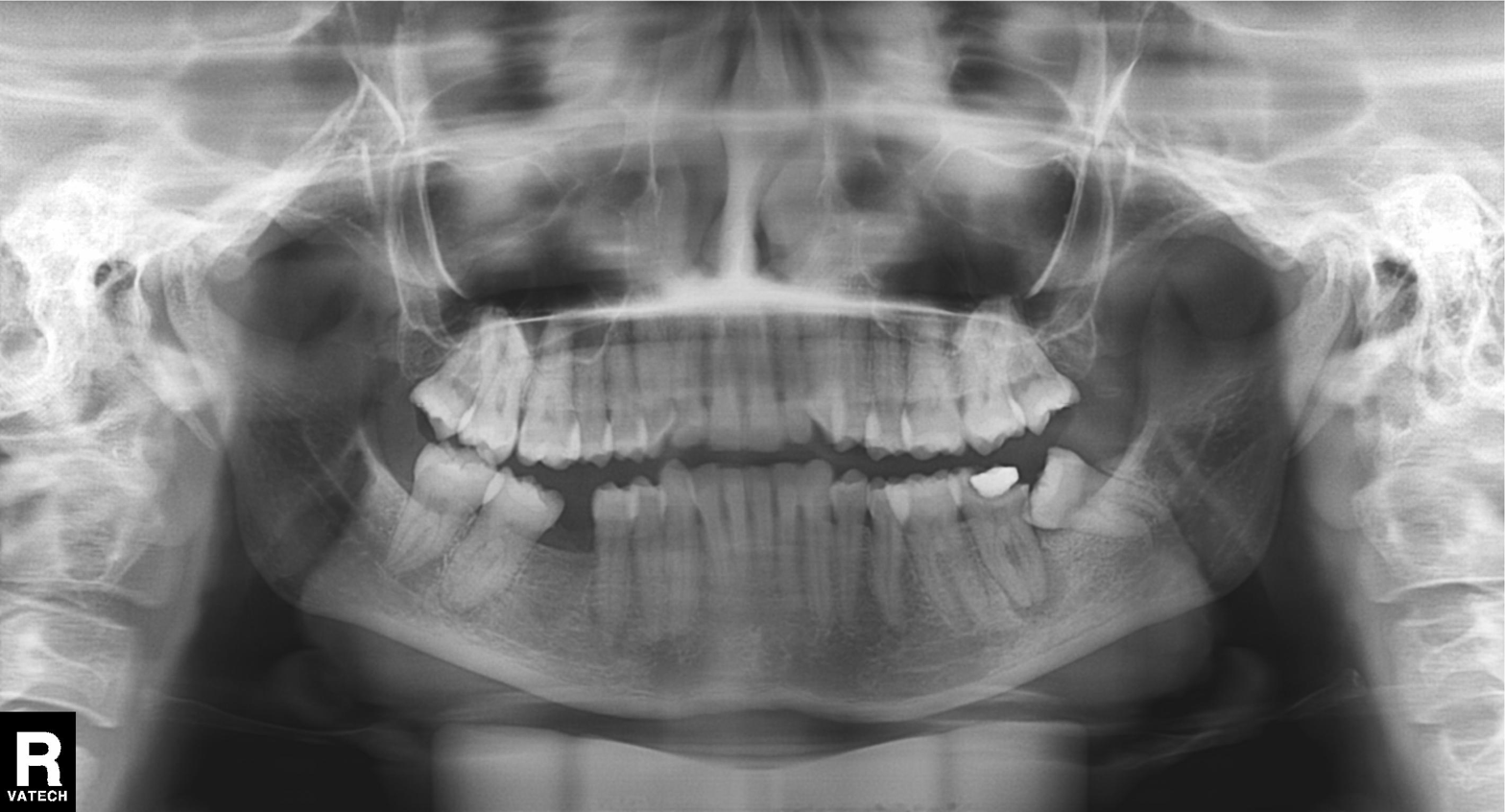
Panoramic dental radiograph (orthopantomogram). Finding: alveolar bone loss.